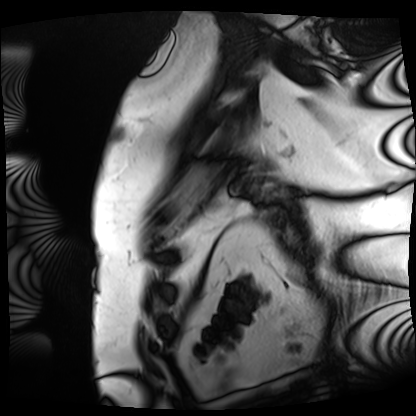
Cardiac MRI.
Subject group: patient.